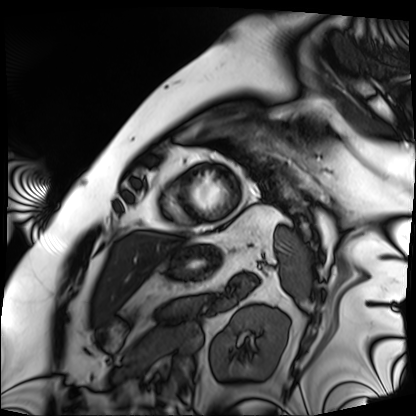
modality: cardiac MRI
cohort: patient